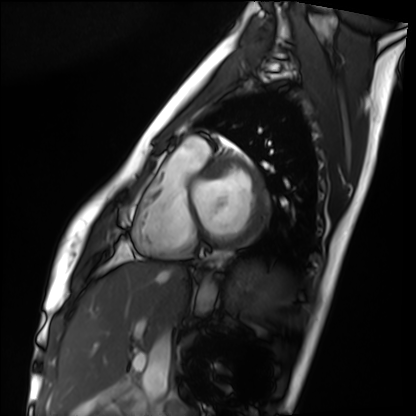
| field | value |
|---|---|
| modality | cardiac MRI |
| subject group | healthy volunteer |